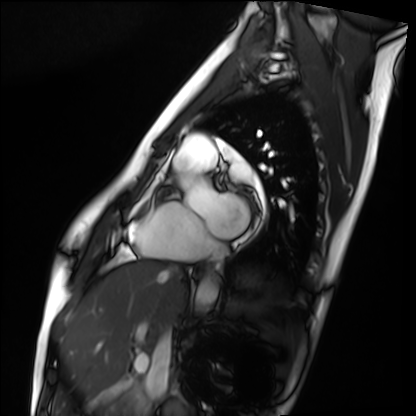
Summary: Cardiac MRI. Subject group: healthy volunteer.